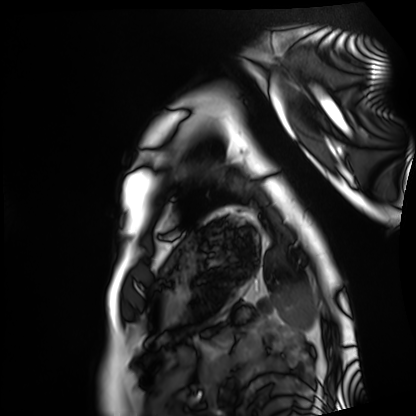
Case:
– modality: cardiac MRI
– subject group: healthy volunteer